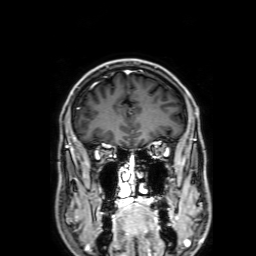
3 Tesla brain MRI.
Series: 3D T1-weighted with SENSE.
Study: ring-enhancing brain masses.